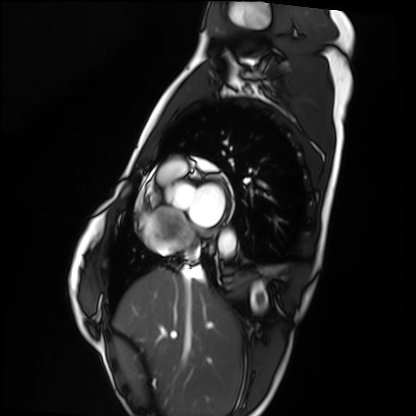
modality: cardiac MRI
cohort: healthy volunteer